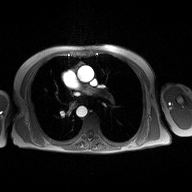
Clinical context:
2D phase-contrast cine MRI of the ascending aorta, high-resolution GRAPPA acquisition.